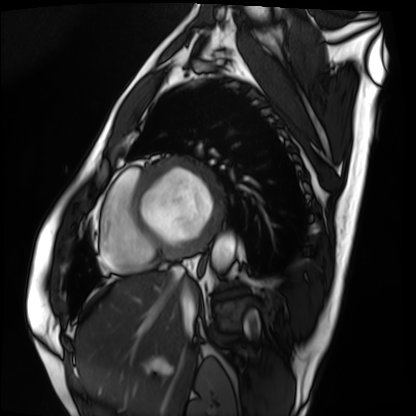
Cardiac MRI. Subject group: patient.